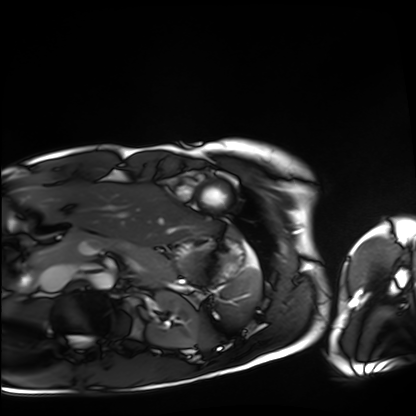
Clinical context:
Cardiac MRI. Subject group: healthy volunteer.